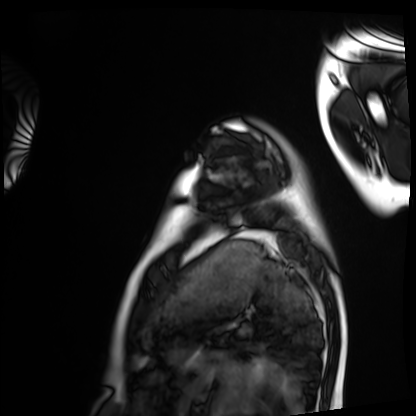
* modality: cardiac MRI
* subject group: healthy volunteer